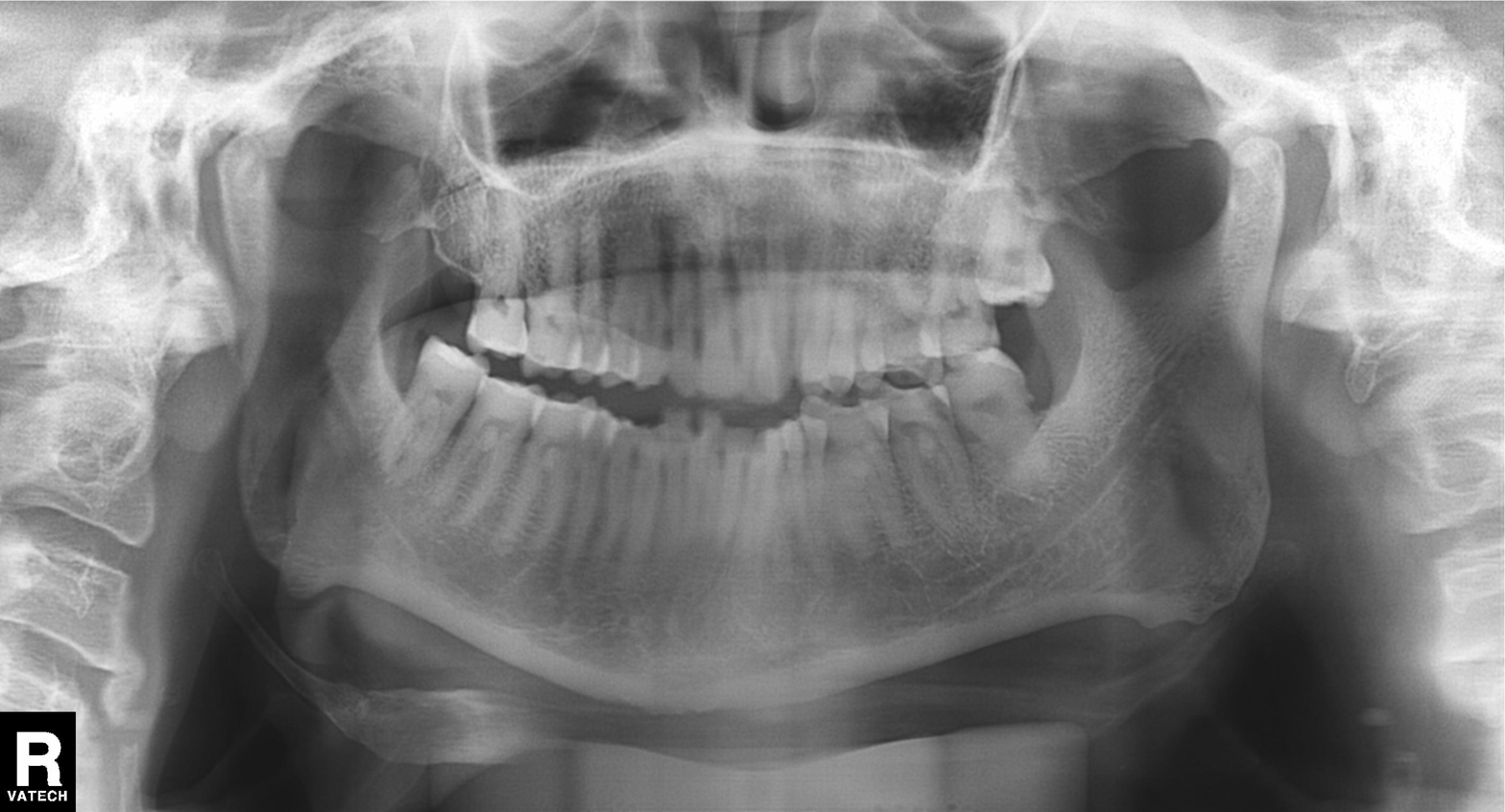
modality = panoramic dental radiograph (orthopantomogram), finding = tooth impaction.